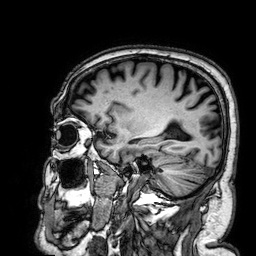
- modality: 3 Tesla brain MRI
- study: ring-enhancing brain masses